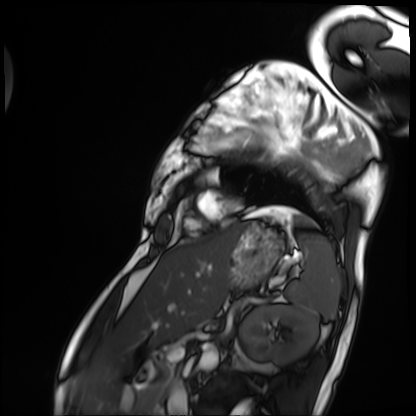
Cardiac MRI.
Subject group: patient.